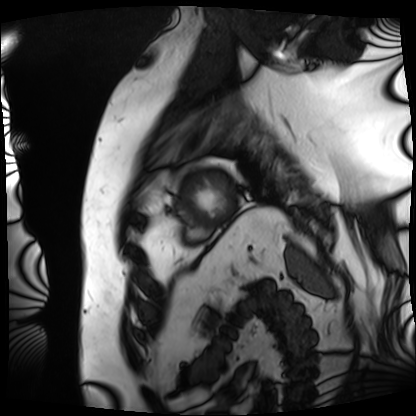
Summary: Cardiac MRI. Subject group: patient.